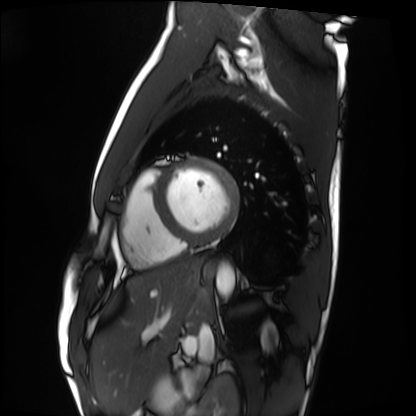
Cardiac MRI.
Subject group: healthy volunteer.